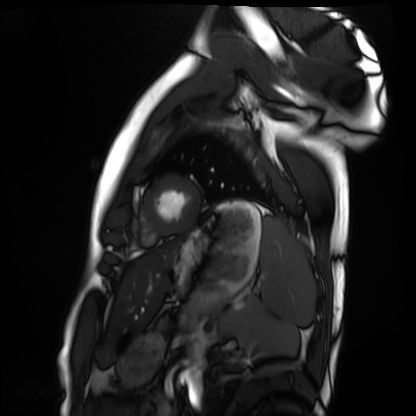
modality: cardiac MRI
subject group: healthy volunteer